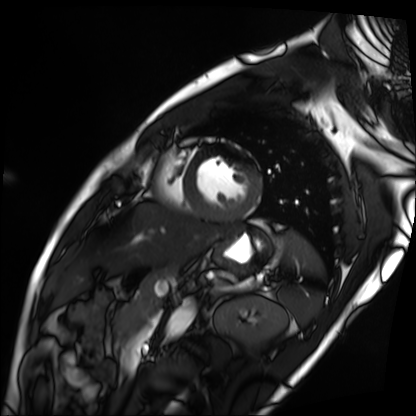
Cardiac MRI. Subject group: patient.